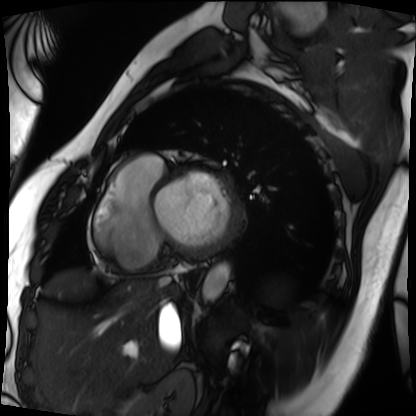
Cardiac MRI. Subject group: patient.